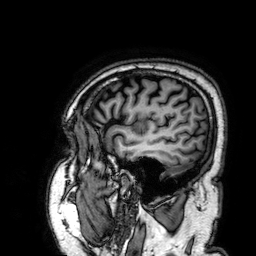
modality — 3 Tesla brain MRI | series — 3D T1-weighted | study — ring-enhancing brain masses.